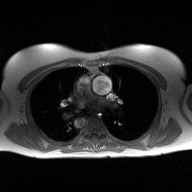
* modality — 2D phase-contrast cine MRI of the ascending aorta